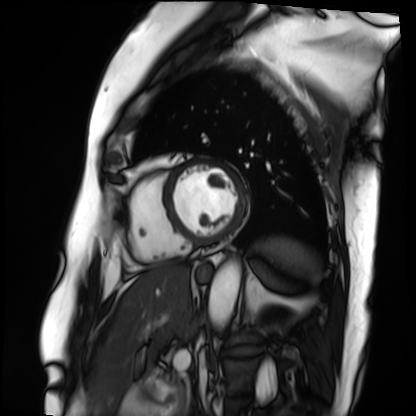
modality — cardiac MRI | subject group — patient.